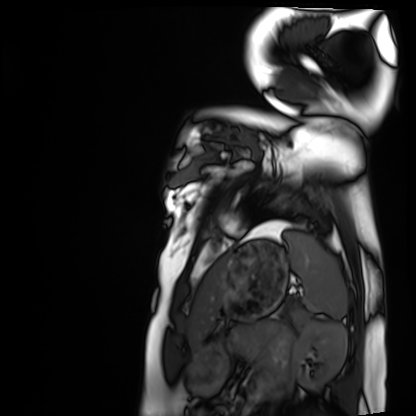
Case summary:
Cardiac MRI. Subject group: healthy volunteer.